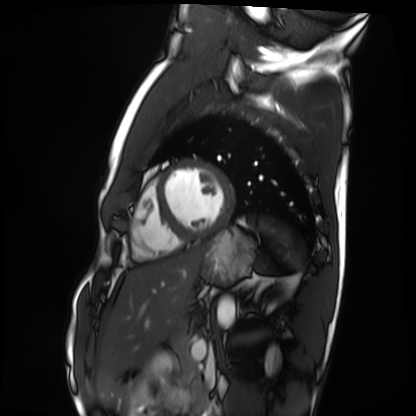
Q: What kind of scan is this?
A: Cardiac MRI.
Subject group: healthy volunteer.